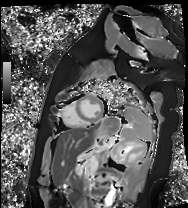
modality: cardiac MR image of the myocardium; subject cohort: healthy volunteer.